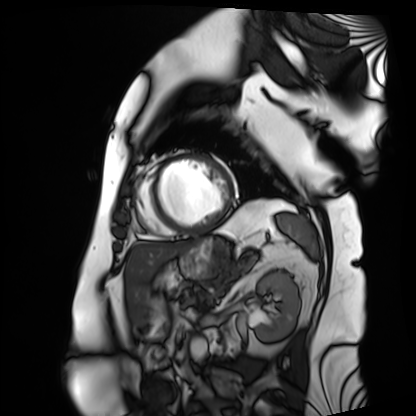
modality: cardiac MRI
cohort: patient